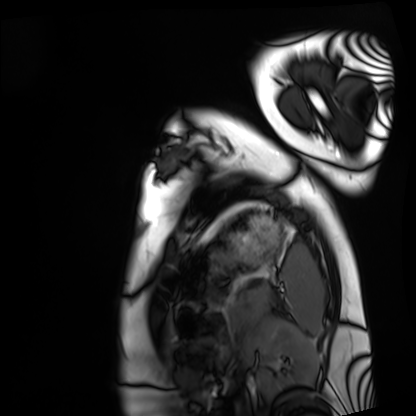
Case summary:
Cardiac MRI. Subject group: healthy volunteer.